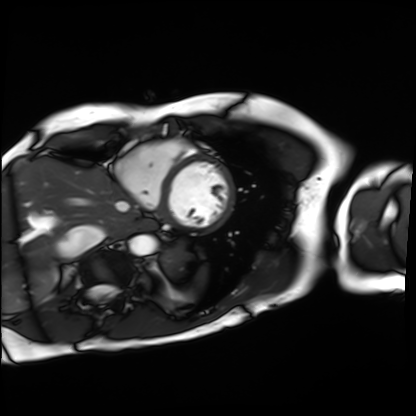
<scan>
  <modality>cardiac MRI</modality>
  <cohort>patient</cohort>
</scan>